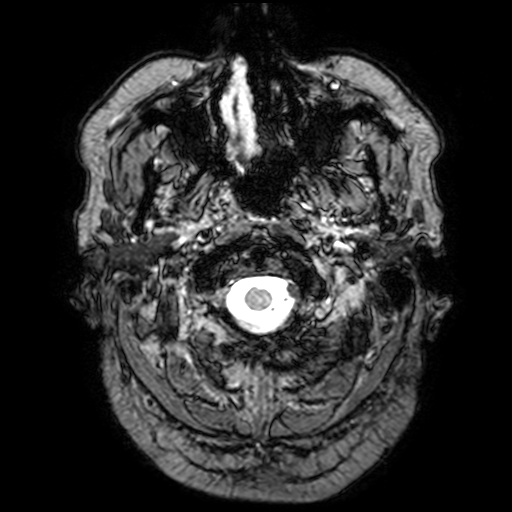
* modality: 3 Tesla brain MRI
* series: T2-weighted fast field echo with SENSE
* study: ring-enhancing brain masses